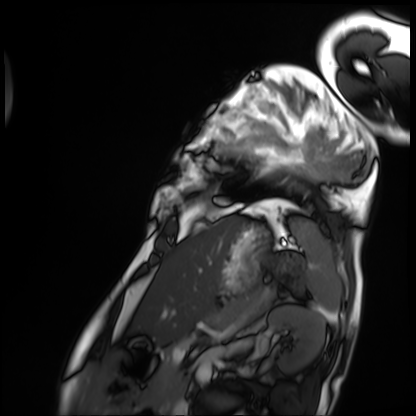
– modality · cardiac MRI
– subject group · patient